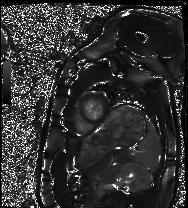
modality = cardiac MRI; subject group = healthy volunteer.